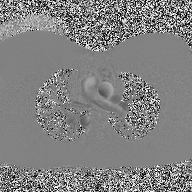
2D phase-contrast cine MRI of the ascending aorta, high-resolution GRAPPA acquisition.